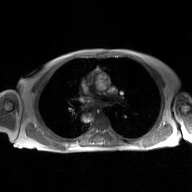
Q: What kind of scan is this?
A: 2D phase-contrast cine MRI of the ascending aorta, GAN super-resolution reconstruction.